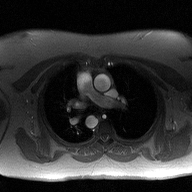
{
  "modality": {
    "type": "2D phase-contrast cine MRI",
    "region": "ascending aorta",
    "reconstruction": "high-resolution GRAPPA acquisition"
  }
}